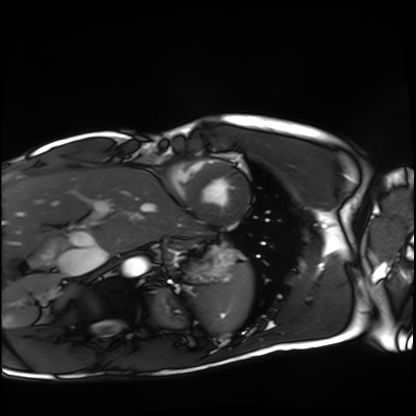
modality = cardiac MRI | subject group = healthy volunteer.